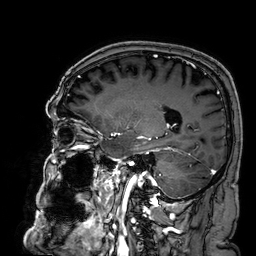
3 Tesla brain MRI. Series: 3D T1-weighted. Study: ring-enhancing brain masses.